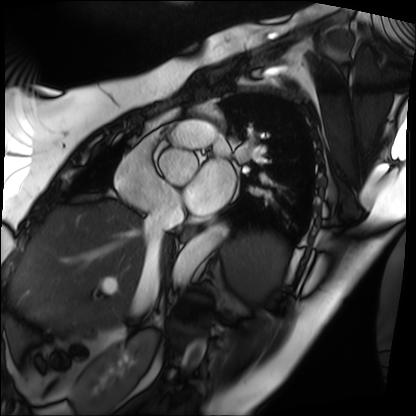
Summary: Cardiac MRI. Subject group: patient.